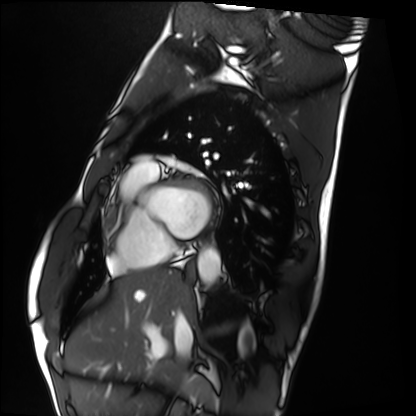
Summary:
Cardiac MRI. Subject group: healthy volunteer.